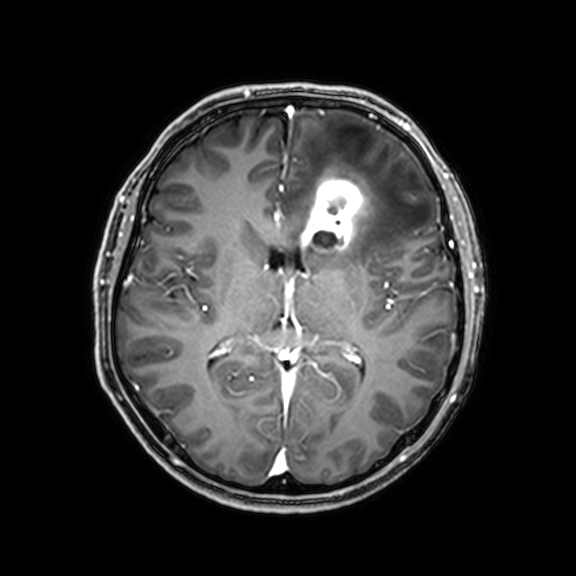
- modality — 3 Tesla brain MRI
- series — 3D T1-weighted with CLEAR
- study — ring-enhancing brain masses